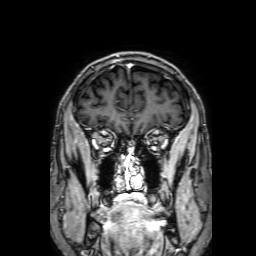
3 Tesla brain MRI.
Series: 3D T1-weighted with SENSE.
Study: ring-enhancing brain masses.